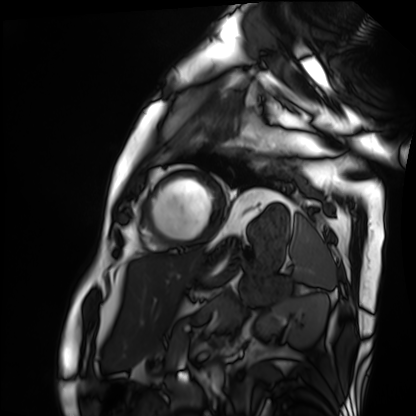
Q: What kind of scan is this?
A: Cardiac MRI.
Subject group: patient.